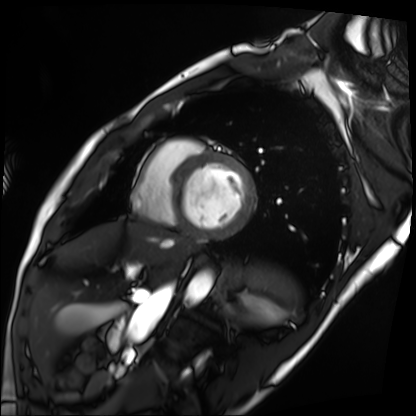
Summary: Cardiac MRI. Subject group: patient.